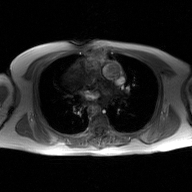
Summary: 2D phase-contrast cine MRI of the ascending aorta, GAN super-resolution reconstruction.